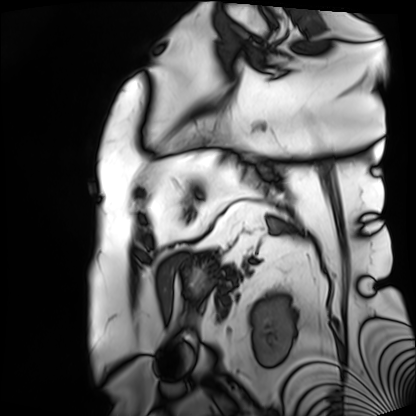
Cardiac MRI.
Subject group: patient.